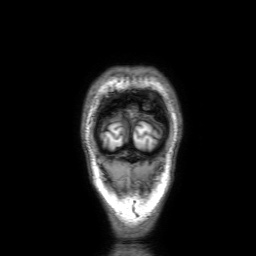
3 Tesla brain MRI.
Series: 3D T1-weighted with SENSE.
Study: ring-enhancing brain masses.